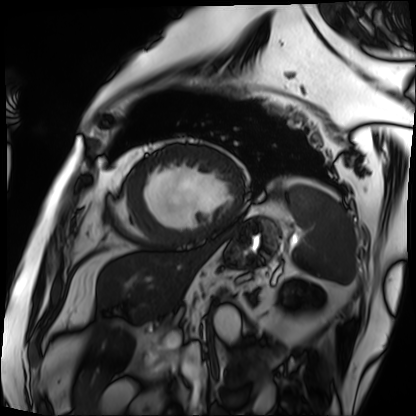
Q: What kind of scan is this?
A: Cardiac MRI.
Subject group: patient.